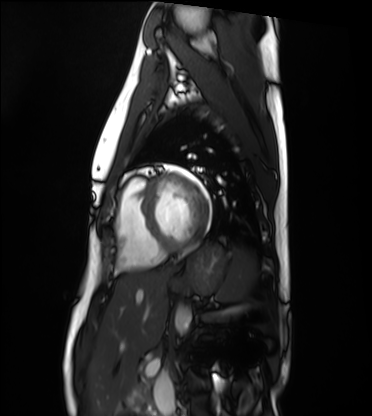
{
  "modality": "cardiac MRI",
  "cohort": "healthy volunteer"
}